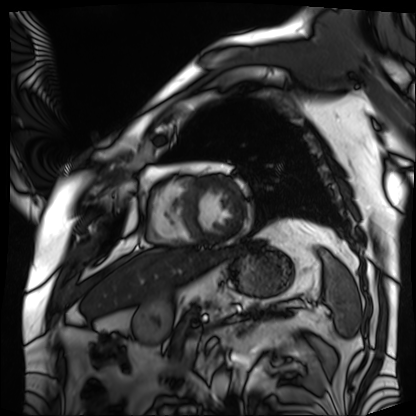
modality — cardiac MRI
subject group — patient